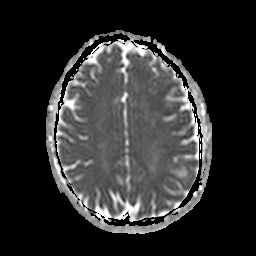
Clinical context: 3 Tesla brain MRI. Series: apparent diffusion coefficient (ADC) map. Study: ring-enhancing brain masses.